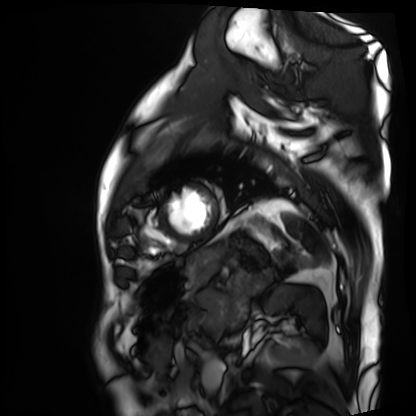
Cardiac MRI. Subject group: patient.